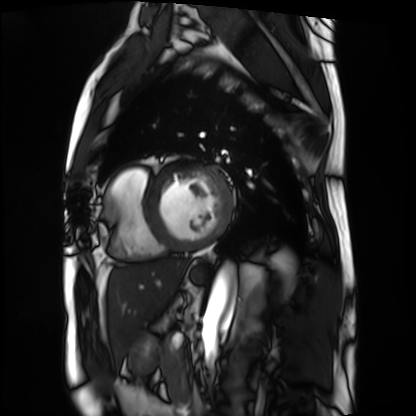
Cardiac MRI. Subject group: patient.